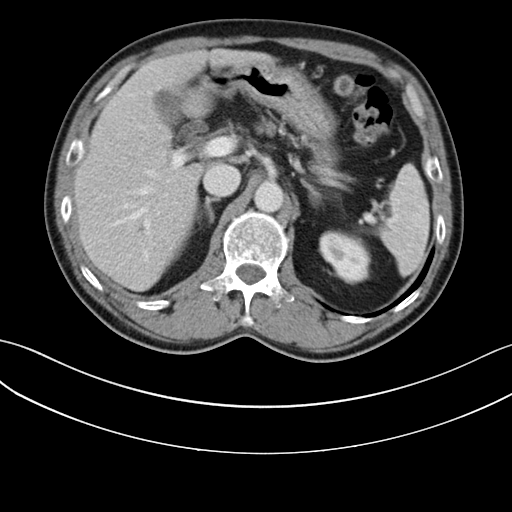
modality: multiphase abdominal CT, liver, portal venous phase
patient: male, age 59